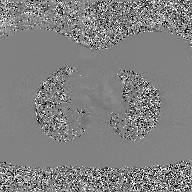
2D phase-contrast cine MRI of the ascending aorta, GAN super-resolution reconstruction.